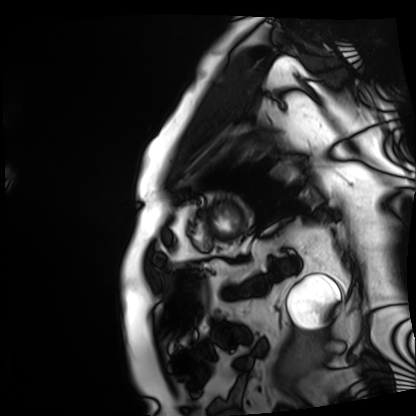
Clinical context: Cardiac MRI. Subject group: patient.